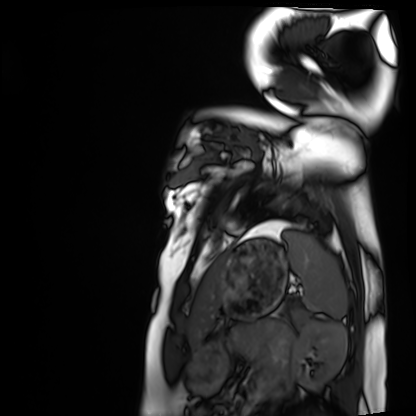
Cardiac MRI. Subject group: healthy volunteer.